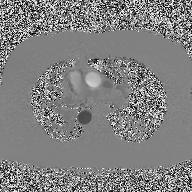
2D phase-contrast cine MRI of the ascending aorta, high-resolution GRAPPA acquisition.